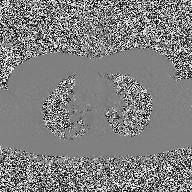
Clinical context: 2D phase-contrast cine MRI of the ascending aorta, high-resolution GRAPPA acquisition.